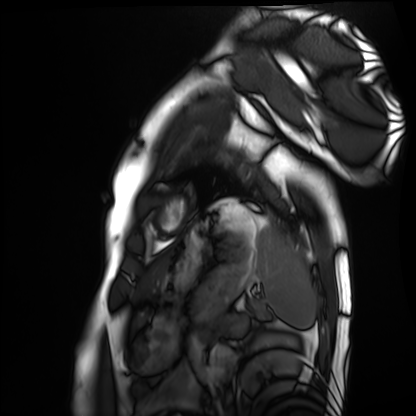
Q: What kind of scan is this?
A: Cardiac MRI.
Subject group: healthy volunteer.